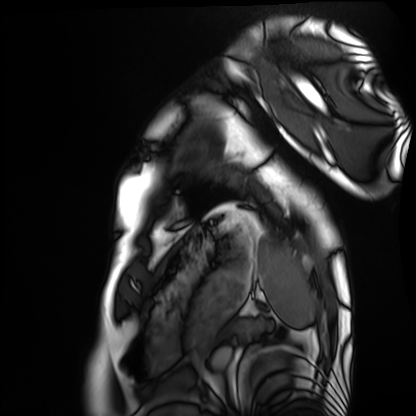
Clinical context: Cardiac MRI. Subject group: healthy volunteer.